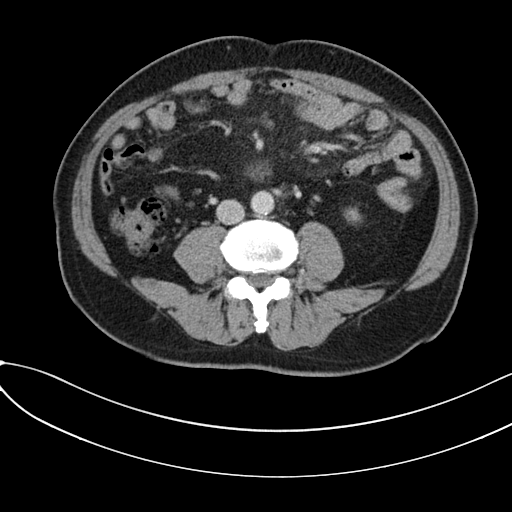
Multiphase abdominal CT, liver, portal venous phase. Patient: male, age 59.